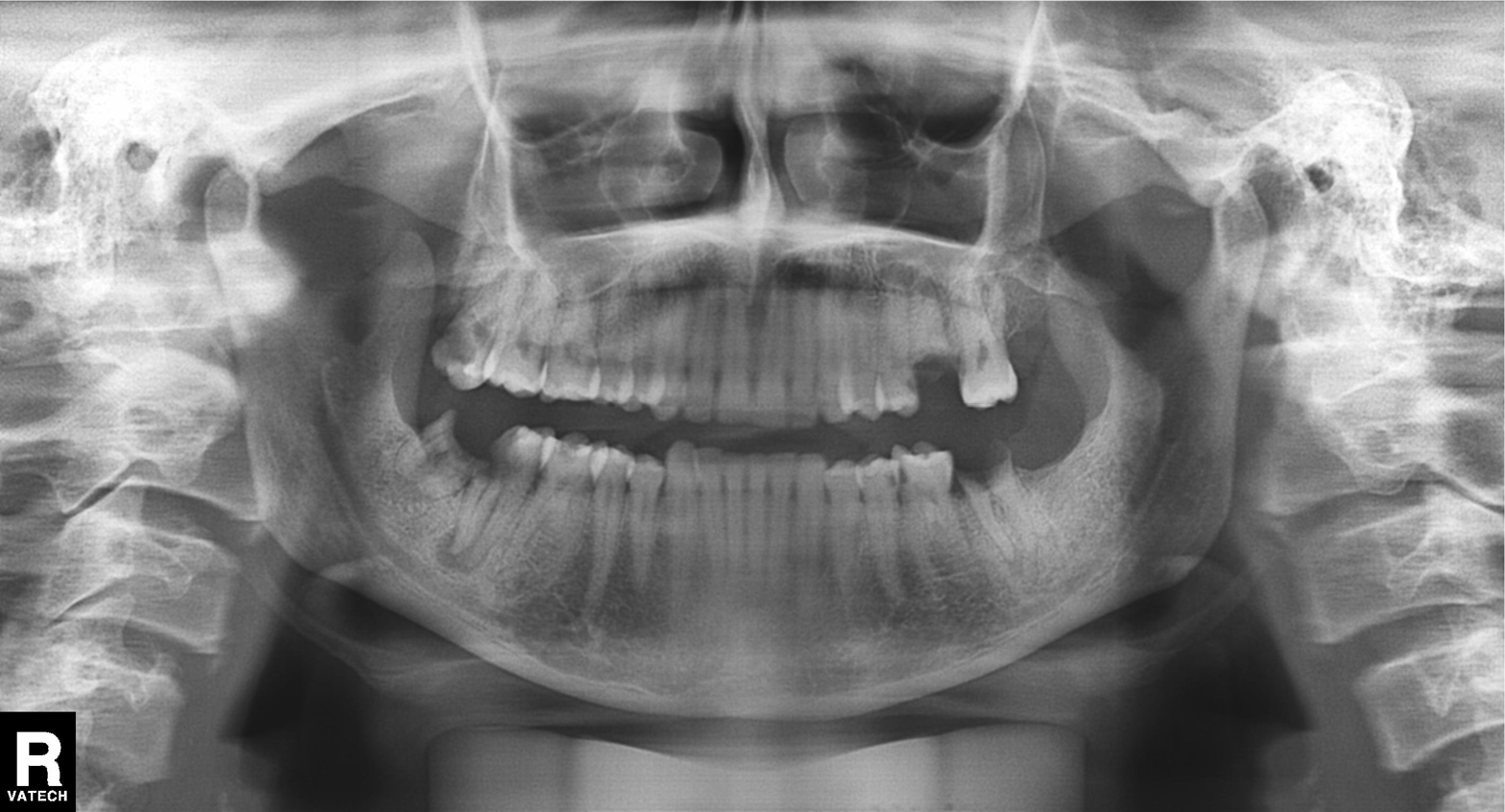
Summary:
Panoramic dental radiograph (orthopantomogram).
Assessment:
Tooth impaction.